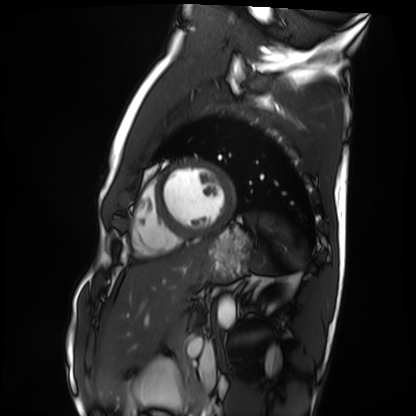
modality: cardiac MRI
cohort: healthy volunteer